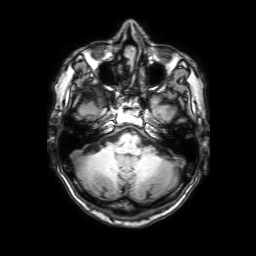
3 Tesla brain MRI. Series: 3D T1-weighted with SENSE. Study: ring-enhancing brain masses.